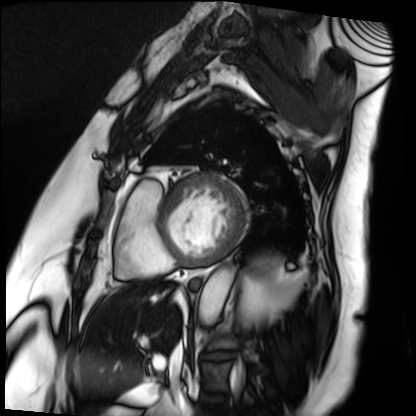
Summary: Cardiac MRI. Subject group: patient.